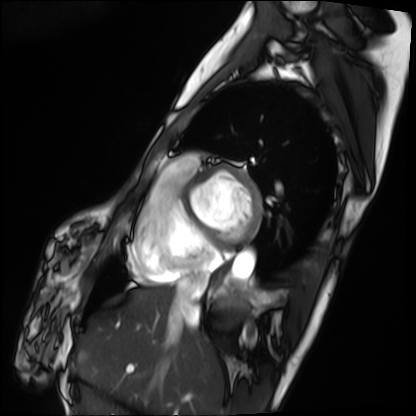
{"modality": "cardiac MRI", "cohort": "patient"}